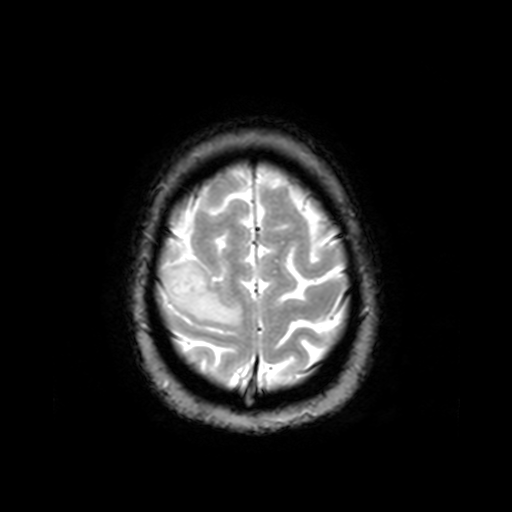
Summary:
3 Tesla brain MRI. Series: T2-weighted fast field echo. Study: ring-enhancing brain masses.